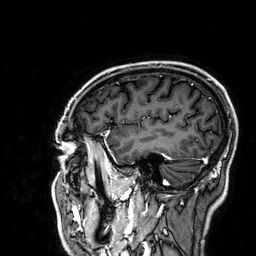
3 Tesla brain MRI. Series: 3D T1-weighted. Study: ring-enhancing brain masses.